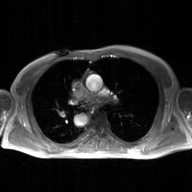
2D phase-contrast cine MRI of the ascending aorta, GAN super-resolution reconstruction.